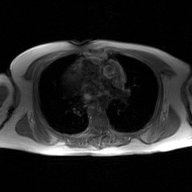
Summary: 2D phase-contrast cine MRI of the ascending aorta, GAN super-resolution reconstruction.